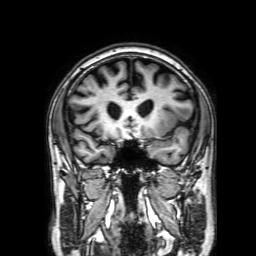
Case summary: 3 Tesla brain MRI. Study: ring-enhancing brain masses.